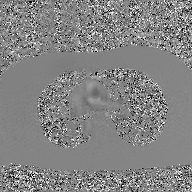
Clinical context: 2D phase-contrast cine MRI of the ascending aorta, GAN super-resolution reconstruction.